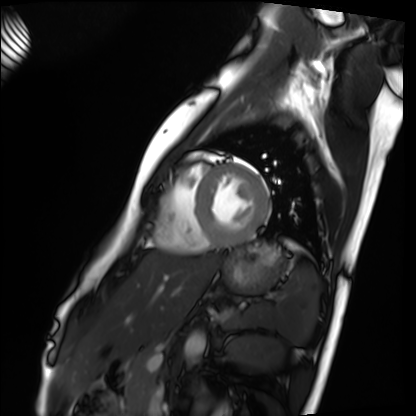
Q: What kind of scan is this?
A: Cardiac MRI.
Subject group: healthy volunteer.